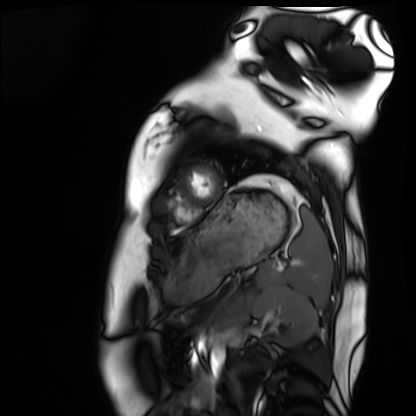
modality — cardiac MRI; subject group — healthy volunteer.